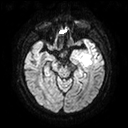
Q: What kind of scan is this?
A: 3 Tesla brain MRI.
Q: Series?
A: Diffusion tensor imaging (medium iso).
Study: ring-enhancing brain masses.